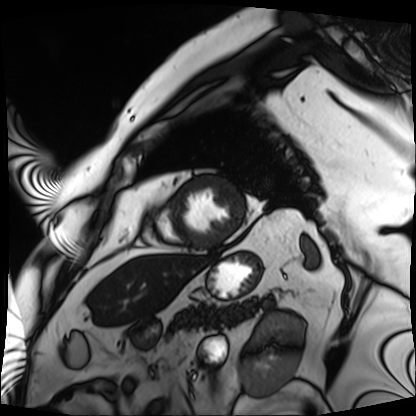
  modality: cardiac MRI
  cohort: patient